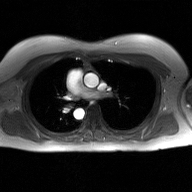
modality: 2D phase-contrast cine MRI of the ascending aorta, GAN super-resolution reconstruction